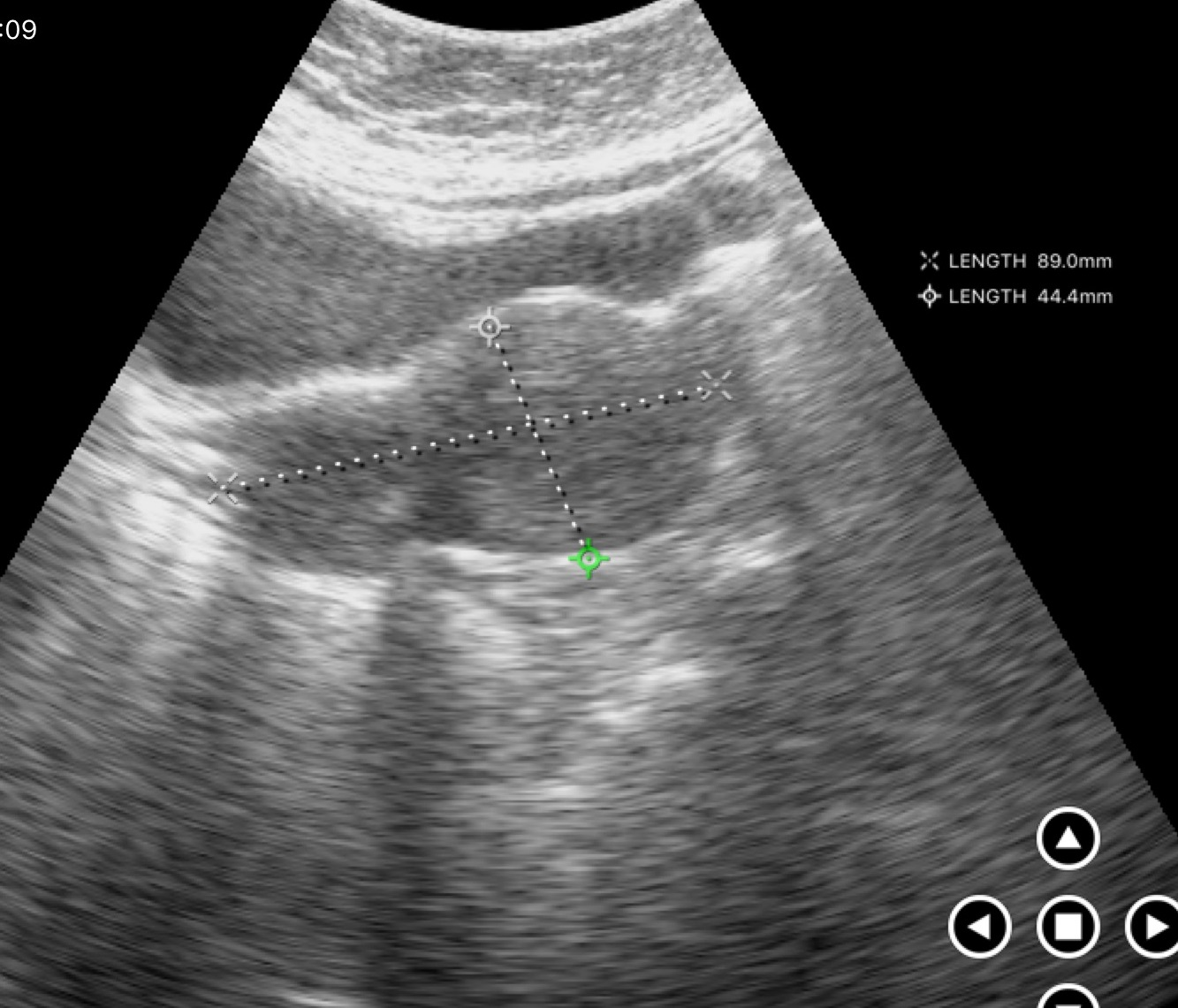
Summary: Genitourinary ultrasound.